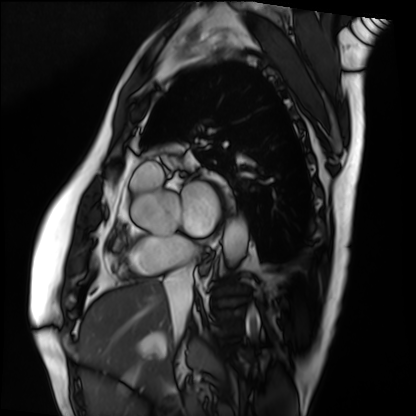
modality: cardiac MRI
subject group: patient